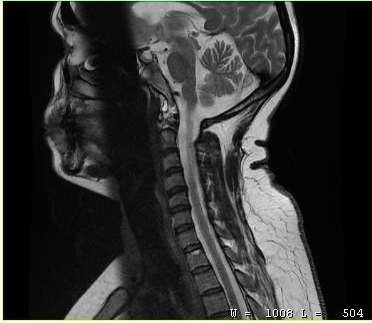
Clinical context: MRI of the cervical spine. Study: cervical spondylosis.